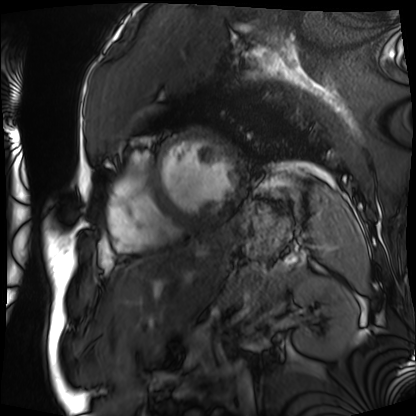
Q: What kind of scan is this?
A: Cardiac MRI.
Subject group: patient.